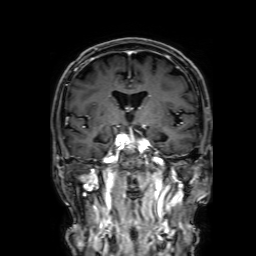
3 Tesla brain MRI.
Series: 3D T1-weighted with SENSE.
Study: ring-enhancing brain masses.